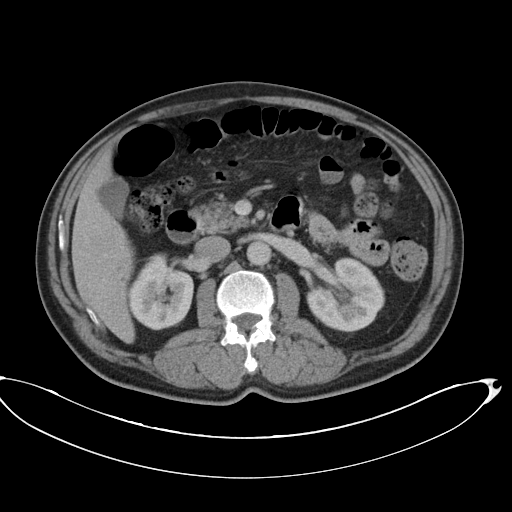
modality: multiphase abdominal CT, liver, portal venous phase; patient: male, age 67.